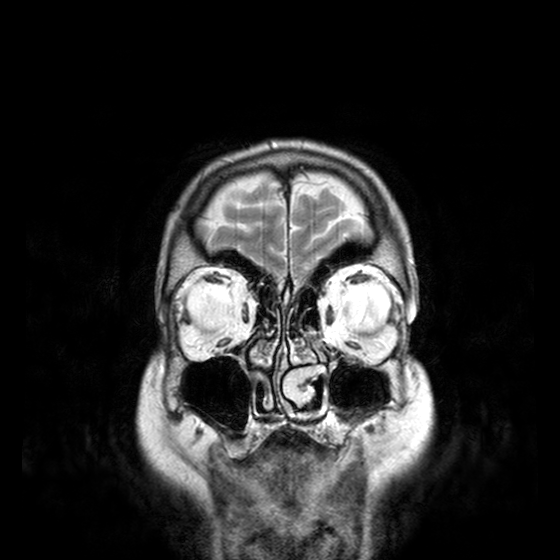
Clinical context:
3 Tesla brain MRI. Study: ring-enhancing brain masses.